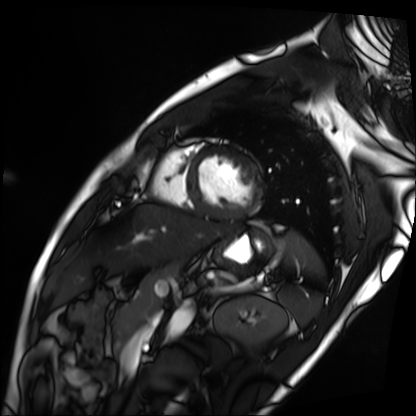
Summary:
Cardiac MRI. Subject group: patient.